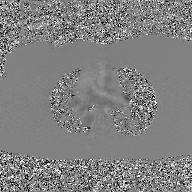
2D phase-contrast cine MRI of the ascending aorta, GAN super-resolution reconstruction.